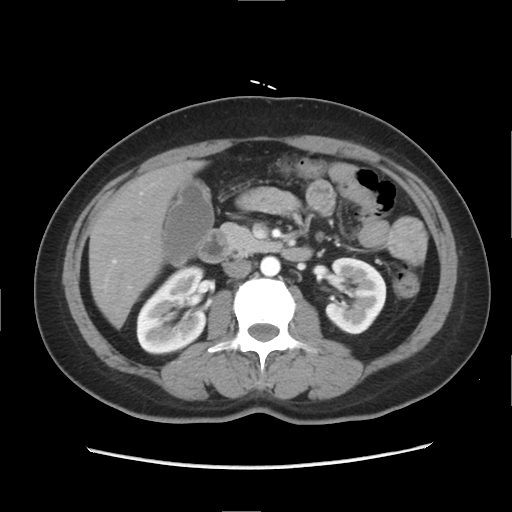
Multiphase abdominal CT, liver, arterial phase. Patient: female, age 47.